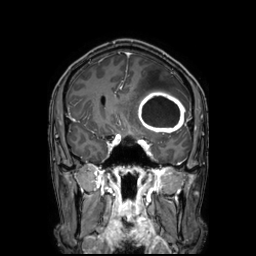
3 Tesla brain MRI. Series: 3D T1-weighted TFE with SENSE. Study: ring-enhancing brain masses.